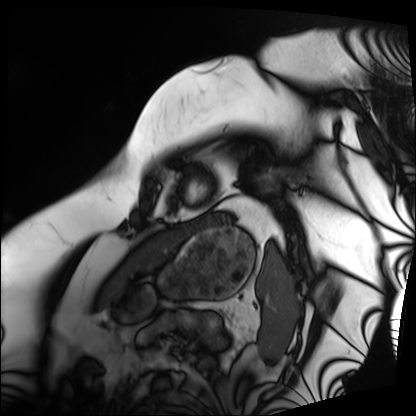
Cardiac MRI. Subject group: patient.